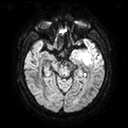
modality: 3 Tesla brain MRI
series: diffusion tensor imaging (medium iso)
study: ring-enhancing brain masses